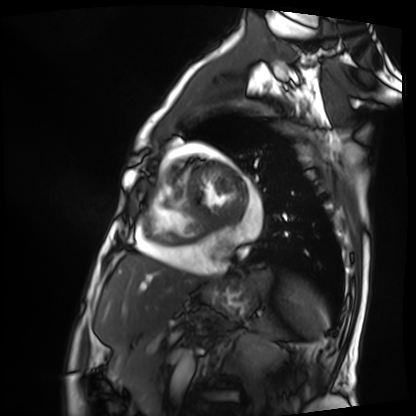
{"modality": "cardiac MRI", "cohort": "patient"}